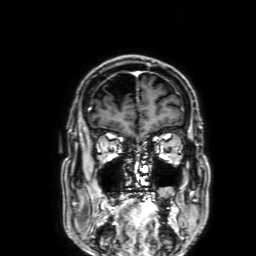
Summary:
3 Tesla brain MRI. Series: 3D T1-weighted with SENSE. Study: ring-enhancing brain masses.